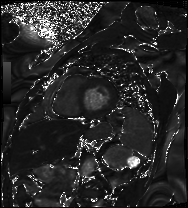
{"modality": "cardiac MRI", "cohort": "patient"}